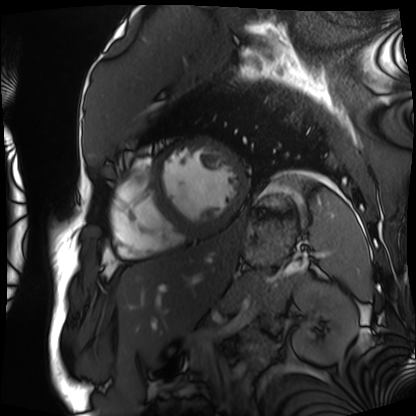
<study>
  <modality>cardiac MRI</modality>
  <cohort>patient</cohort>
</study>